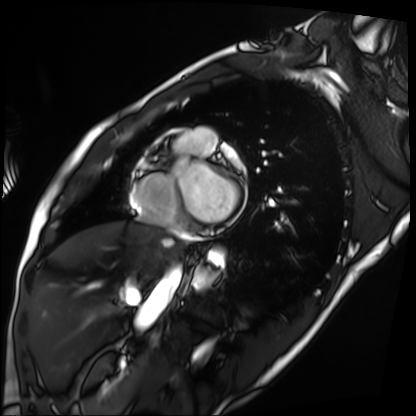
* modality · cardiac MRI
* subject group · patient